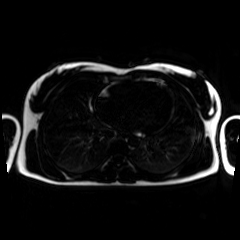
Chemical-shift-encoded cardiac MRI.